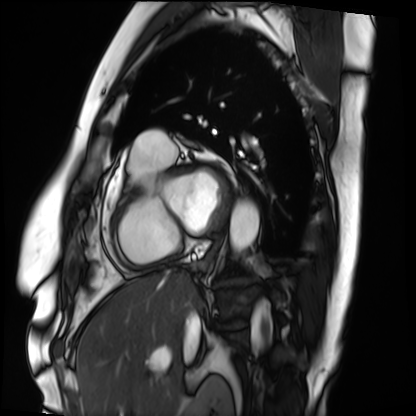
Summary: Cardiac MRI. Subject group: patient.